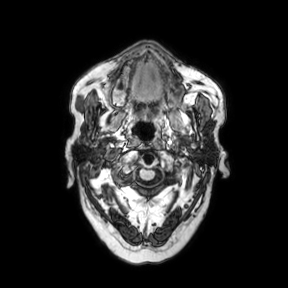
- modality — 3 Tesla brain MRI
- series — axial
- study — ring-enhancing brain masses